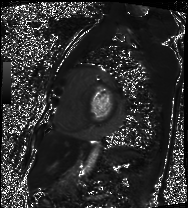
{
  "modality": "cardiac MRI",
  "cohort": "patient"
}